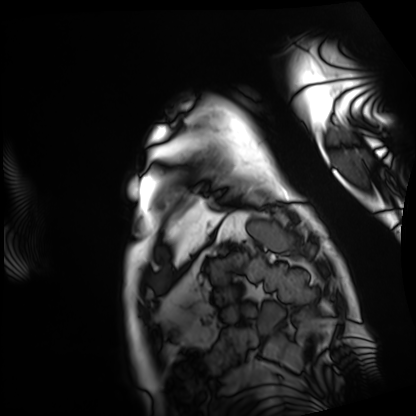
• modality — cardiac MRI
• subject group — patient